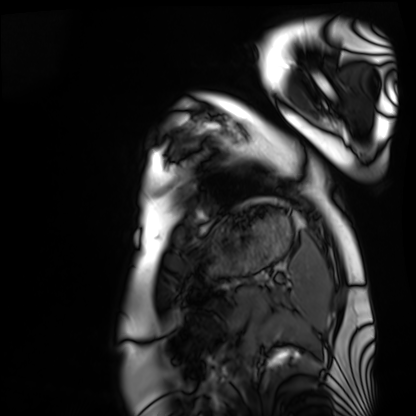
{
  "modality": "cardiac MRI",
  "cohort": "healthy volunteer"
}